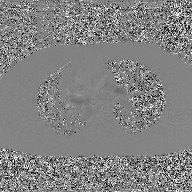
2D phase-contrast cine MRI of the ascending aorta, GAN super-resolution reconstruction.